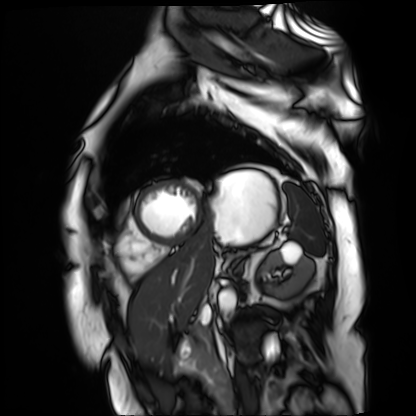
Cardiac MR image of the myocardium. Subject cohort: cardiac patient.